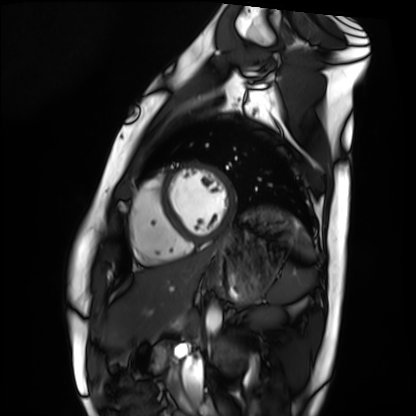
Q: What kind of scan is this?
A: Cardiac MRI.
Subject group: healthy volunteer.